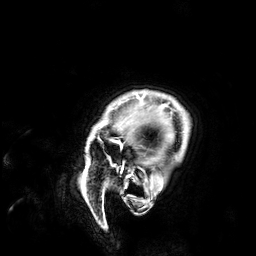
Summary:
3 Tesla brain MRI. Series: 3D T1-weighted. Study: ring-enhancing brain masses.